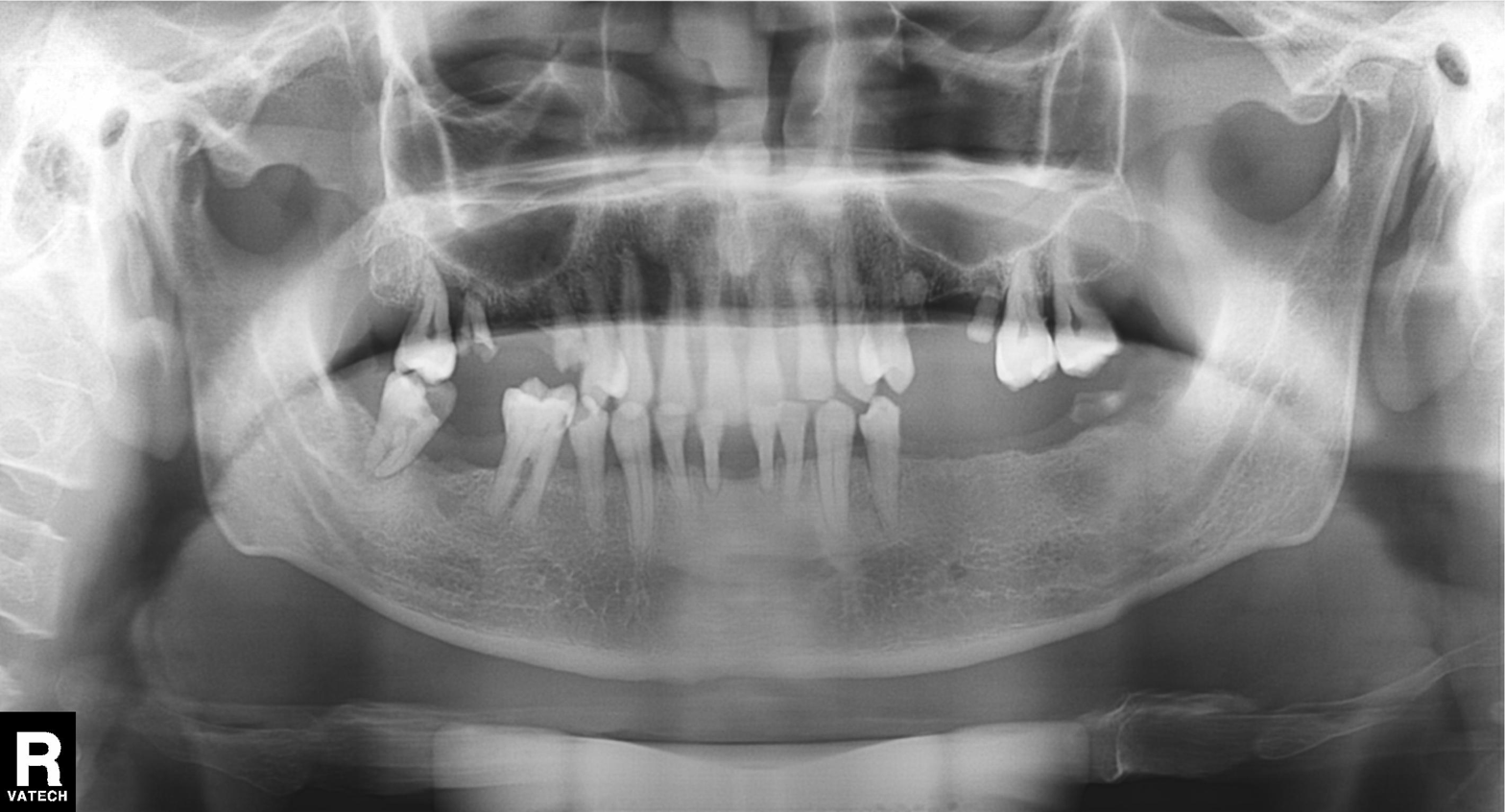
Findings:
• modality — panoramic dental radiograph (orthopantomogram)
• finding — alveolar bone loss